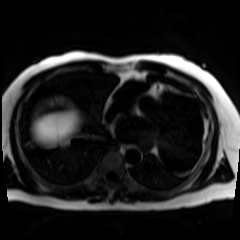
Case summary:
Chemical-shift-encoded cardiac MRI.